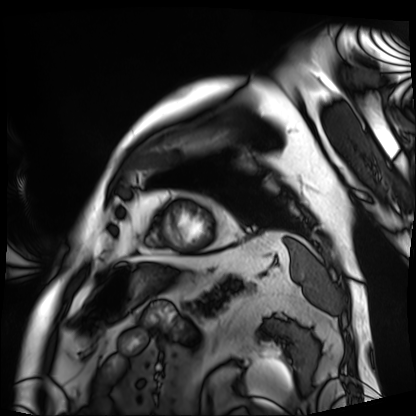
modality: cardiac MRI | subject group: patient.